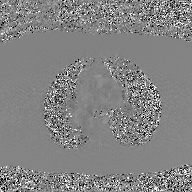
modality: 2D phase-contrast cine MRI of the ascending aorta, GAN super-resolution reconstruction.